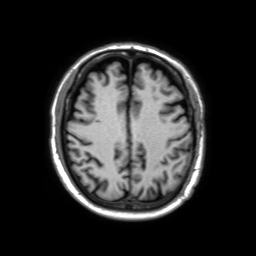
3 Tesla brain MRI. Series: 3D T1-weighted TFE with SENSE. Study: ring-enhancing brain masses.